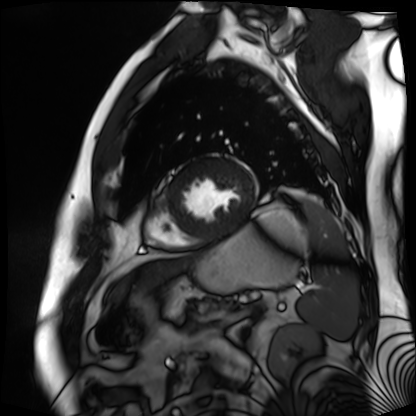
Cardiac MR image of the myocardium. Subject cohort: cardiac patient.